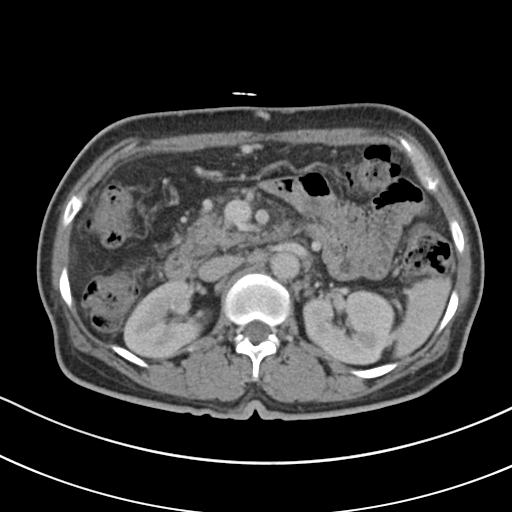
{"modality": {"type": "multiphase abdominal CT", "region": "liver", "phase": "portal venous"}, "patient": {"sex": "female", "age": 55}, "history": ["cirrhosis", "viral hepatitis"]}